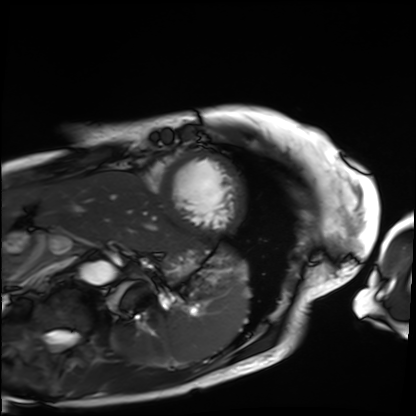
modality = cardiac MRI
subject group = patient